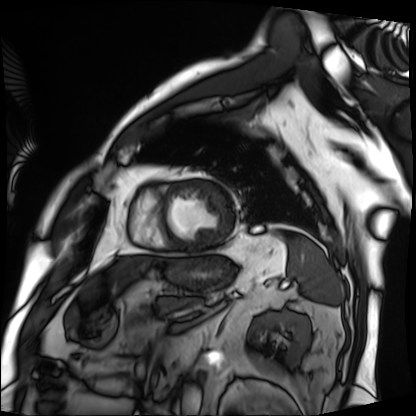
modality: cardiac MRI; subject group: patient.